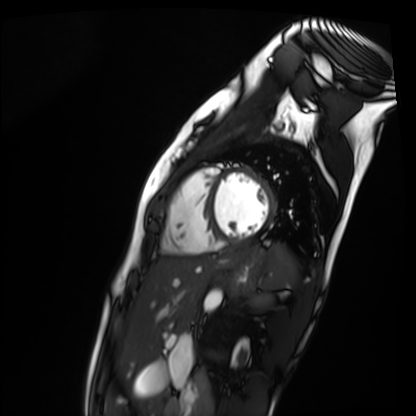
{"modality": "cardiac MR image of the myocardium", "cohort": "healthy volunteer"}